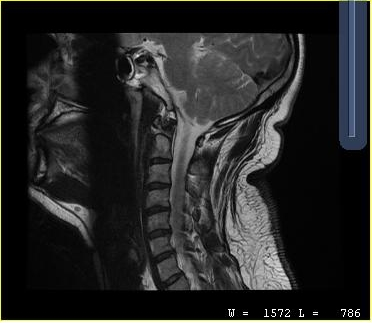
MRI of the cervical spine.
Study: cervical spondylosis.